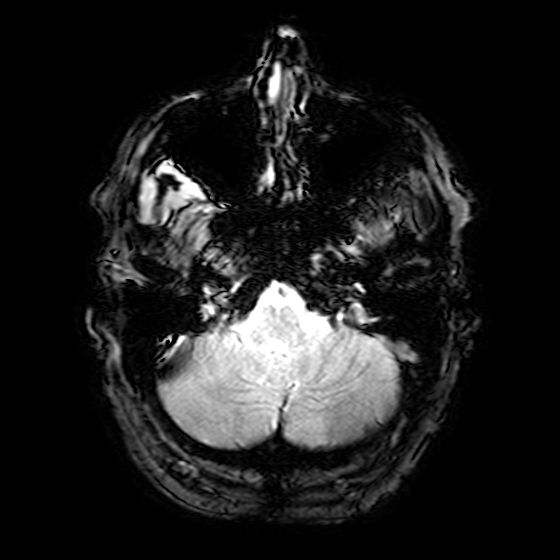
• modality: 3 Tesla brain MRI
• series: T2-weighted fast field echo
• study: ring-enhancing brain masses